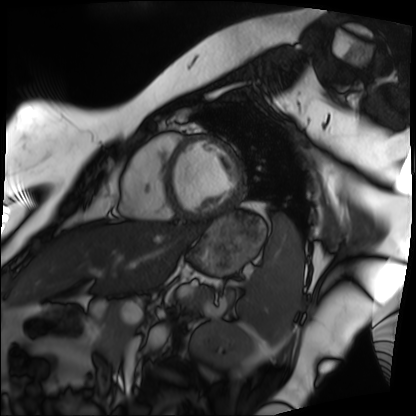
Cardiac MRI. Subject group: patient.